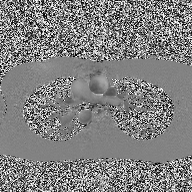
2D phase-contrast cine MRI of the ascending aorta, high-resolution GRAPPA acquisition.